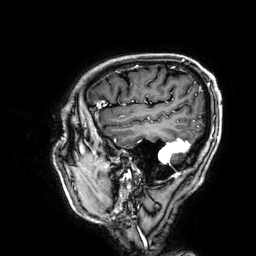
Q: What kind of scan is this?
A: 3 Tesla brain MRI.
Q: Series?
A: 3D T1-weighted.
Study: ring-enhancing brain masses.